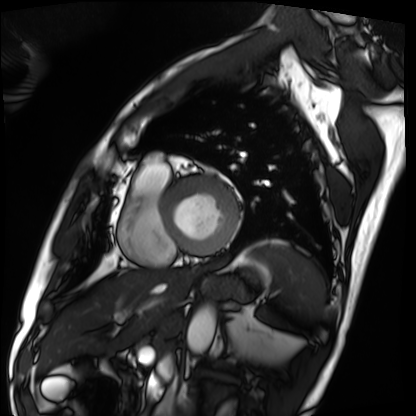
<case>
  <modality>cardiac MRI</modality>
  <cohort>patient</cohort>
</case>